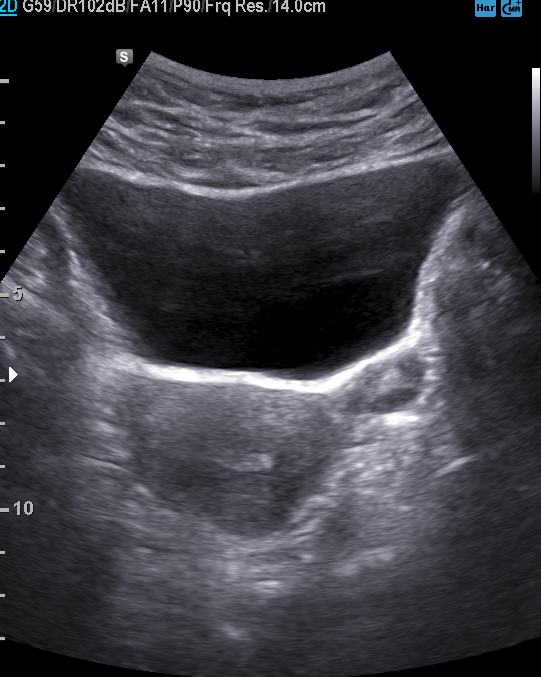
<record>
<modality>
  <type>genitourinary ultrasound</type>
</modality>
</record>